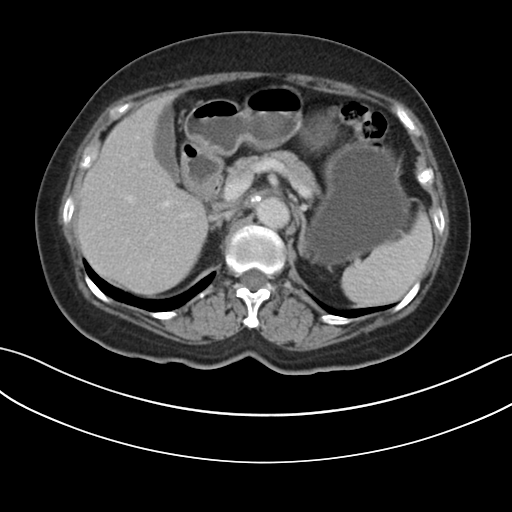
Case:
- modality · multiphase abdominal CT, liver, delayed phase
- patient · female, age 64